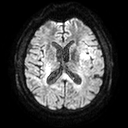
Clinical context: 3 Tesla brain MRI. Series: diffusion tensor imaging (medium iso). Study: ring-enhancing brain masses.